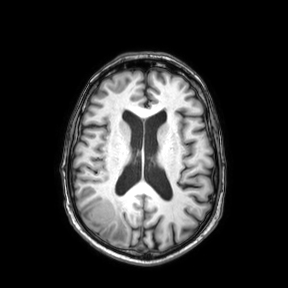
{"modality": {"type": "brain MRI", "field_strength": "3T"}, "series": "axial", "study_topic": "ring-enhancing brain masses"}